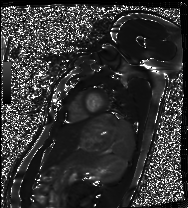
{"modality": "cardiac MRI", "cohort": "healthy volunteer"}